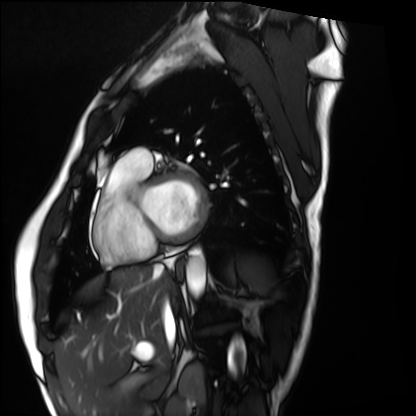
Cardiac MRI. Subject group: healthy volunteer.